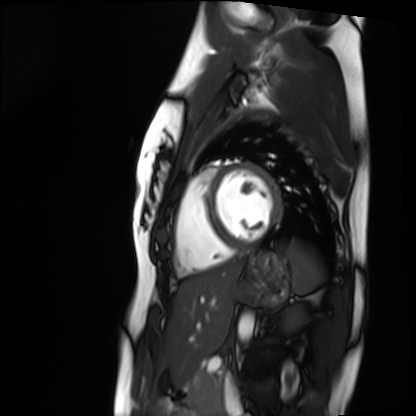
modality — cardiac MRI; subject group — healthy volunteer.